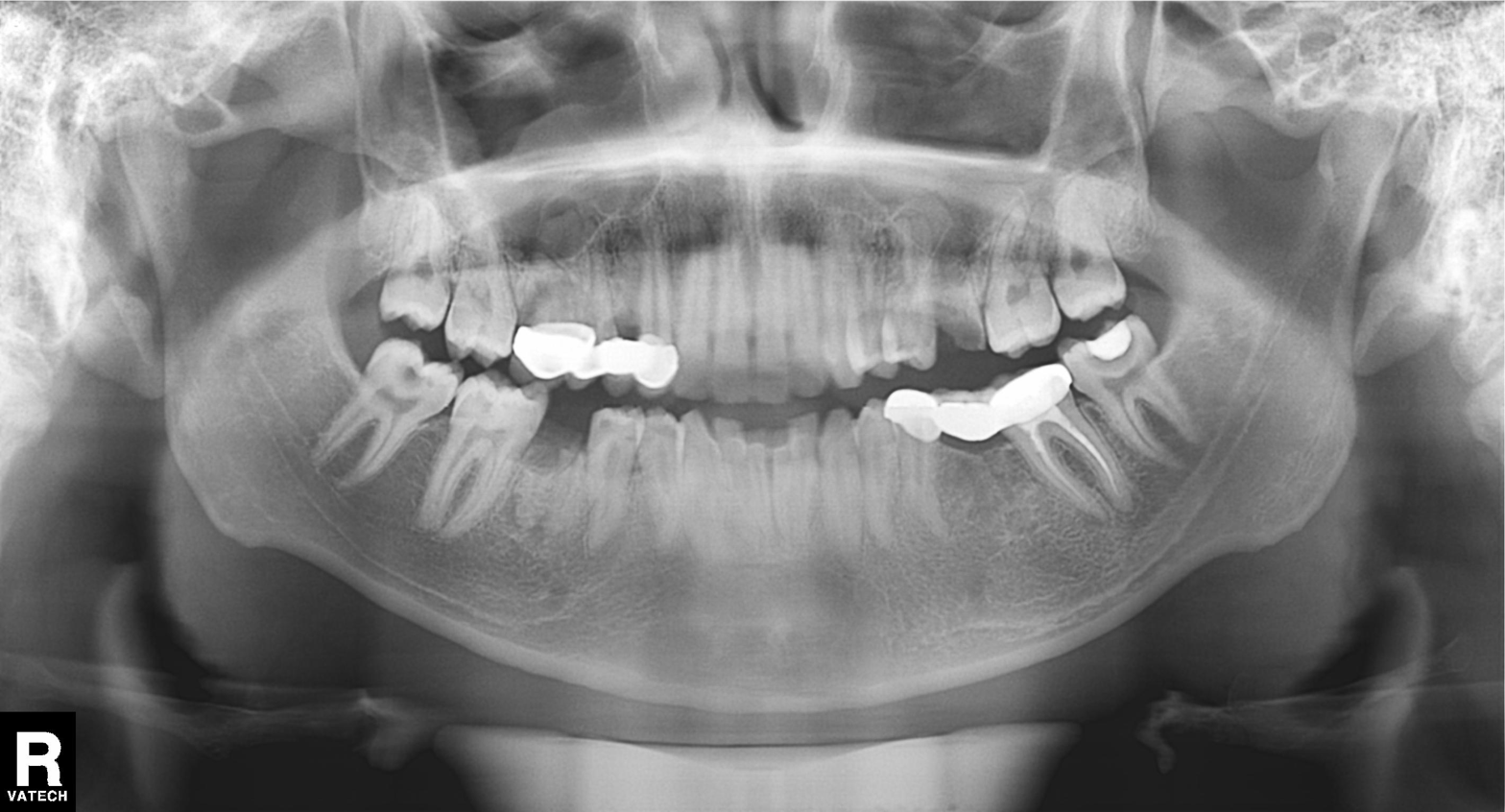
Summary: Panoramic dental radiograph (orthopantomogram).
Conclusion: Alveolar bone loss.